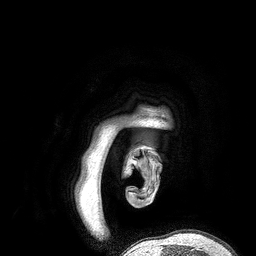
3 Tesla brain MRI. Series: 3D T1-weighted turbo field echo. Study: ring-enhancing brain masses.